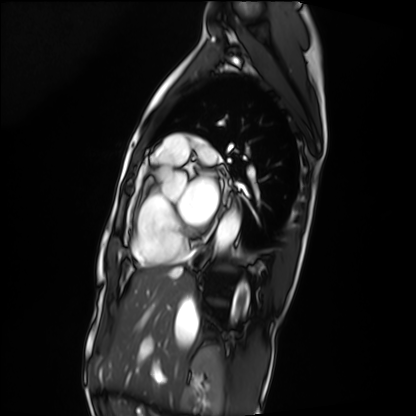
modality — cardiac MRI
subject group — patient